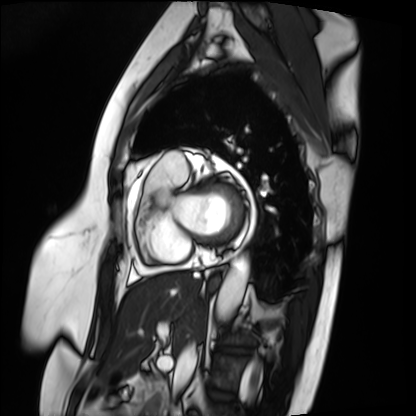
{"modality": "cardiac MRI", "cohort": "patient"}